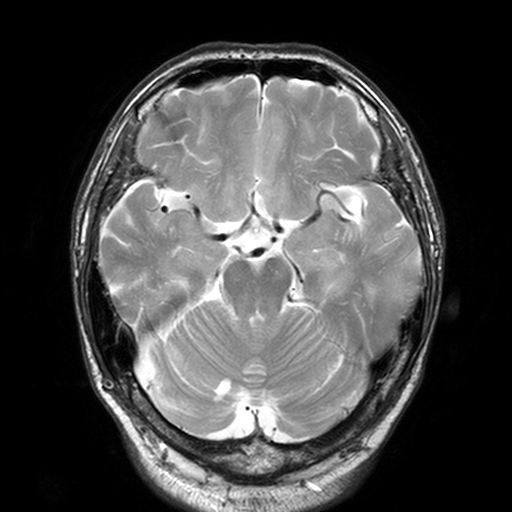
Summary:
3 Tesla brain MRI. Series: T2-weighted turbo spin echo, 3 mm. Study: ring-enhancing brain masses.